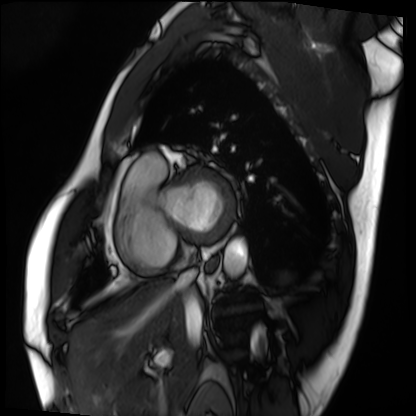
Case summary:
Cardiac MRI. Subject group: patient.